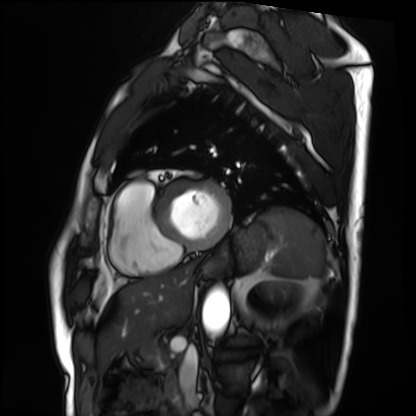
  modality: cardiac MRI
  cohort: patient